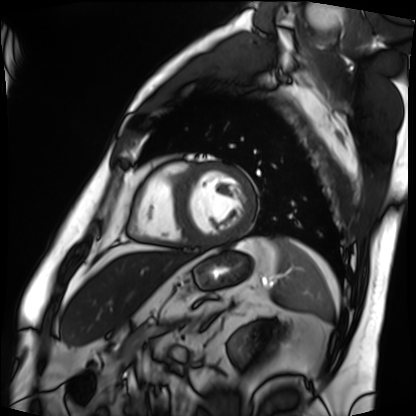
Cardiac MRI.
Subject group: patient.